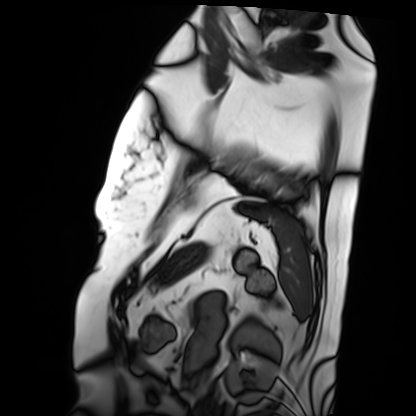
modality: cardiac MRI
cohort: patient